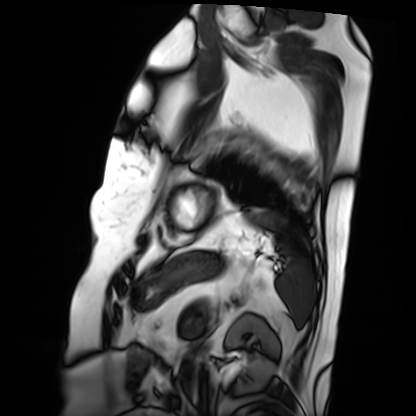
Summary: Cardiac MRI. Subject group: patient.